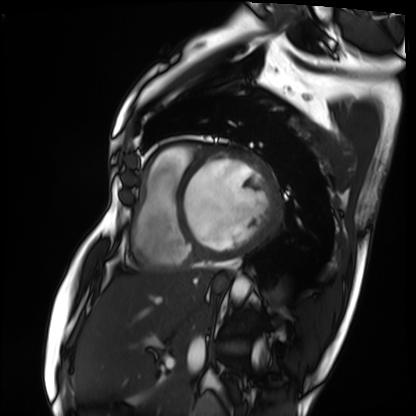
Clinical context:
Cardiac MRI. Subject group: patient.